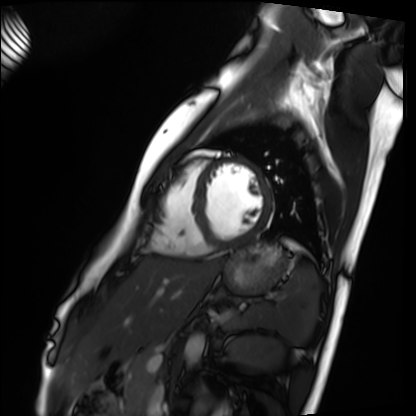
- modality — cardiac MRI
- subject group — healthy volunteer